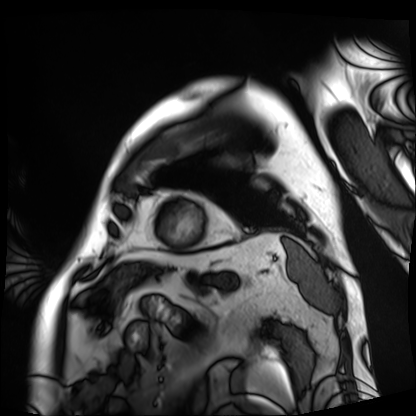
Case:
• modality — cardiac MRI
• subject group — patient